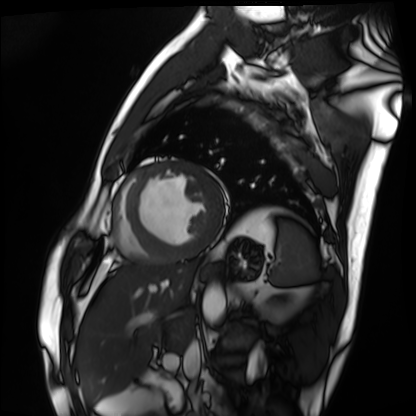
• modality: cardiac MRI
• subject group: patient